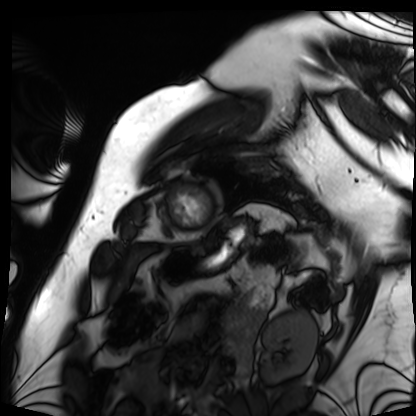
Q: What kind of scan is this?
A: Cardiac MRI.
Subject group: patient.